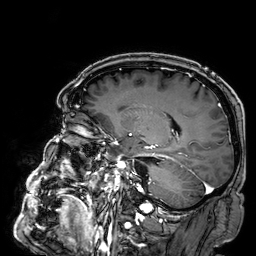
Case:
• modality · 3 Tesla brain MRI
• series · 3D T1-weighted
• study · ring-enhancing brain masses